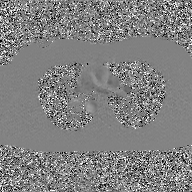
Summary:
2D phase-contrast cine MRI of the ascending aorta, GAN super-resolution reconstruction.